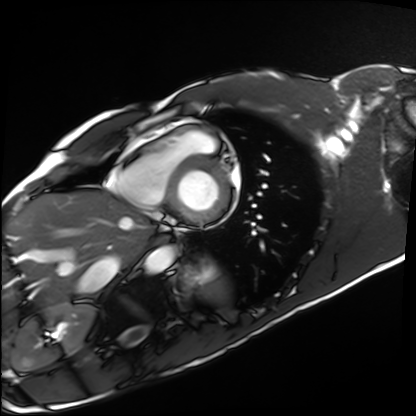
Case summary:
Cardiac MRI. Subject group: healthy volunteer.